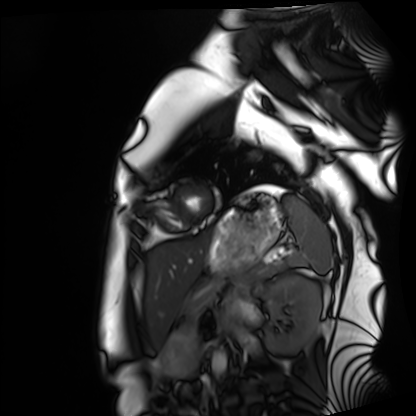
Q: What kind of scan is this?
A: Cardiac MRI.
Subject group: healthy volunteer.